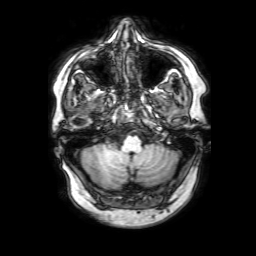
| field | value |
|---|---|
| modality | 3 Tesla brain MRI |
| series | 3D T1-weighted with SENSE |
| study | ring-enhancing brain masses |